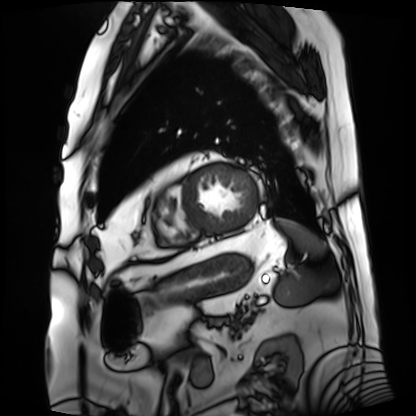
Case summary:
Cardiac MRI. Subject group: patient.